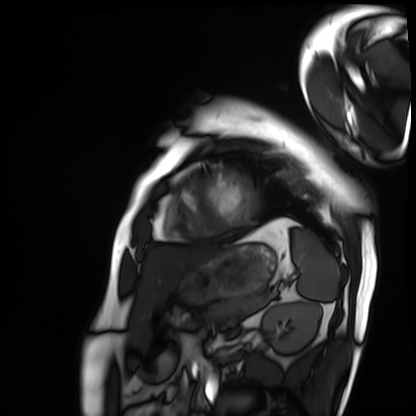
Cardiac MRI. Subject group: patient.